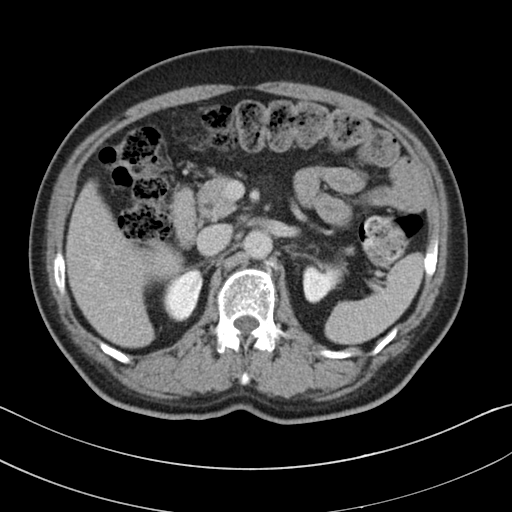
- modality: multiphase abdominal CT, liver, delayed phase
- patient: male, age 58
- history: viral hepatitis